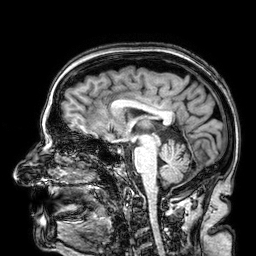
– modality: 3 Tesla brain MRI
– series: 3D T1-weighted
– study: ring-enhancing brain masses